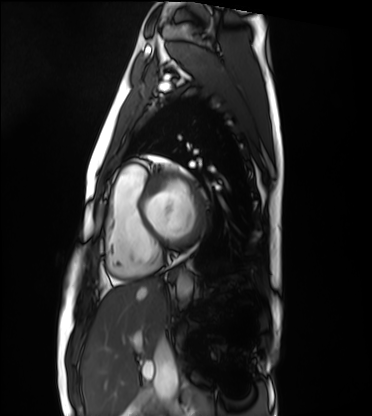
Cardiac MRI. Subject group: healthy volunteer.